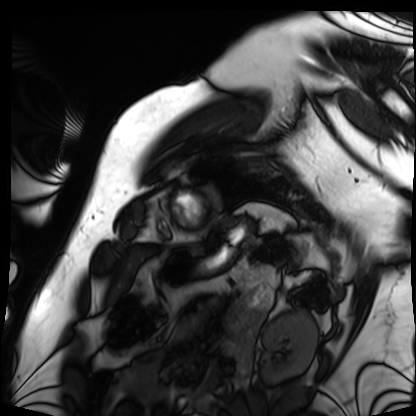
Q: What kind of scan is this?
A: Cardiac MRI.
Subject group: patient.